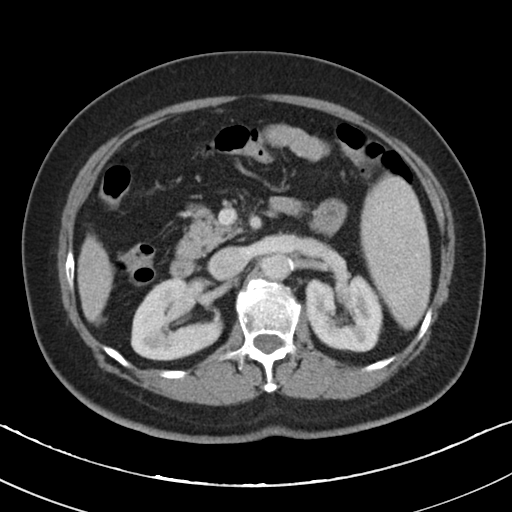
Multiphase abdominal CT, liver, portal venous phase. Patient: female, age 64. History: cirrhosis, viral hepatitis.